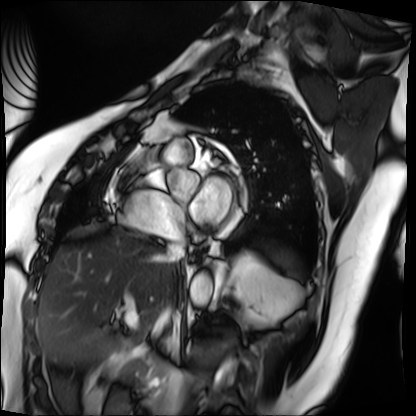
Case:
* modality · cardiac MRI
* subject group · patient